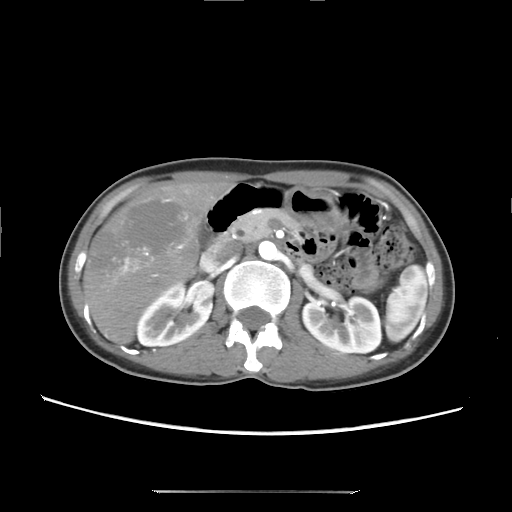
Case summary: Multiphase abdominal CT, liver, arterial phase. Patient: female, age 41.